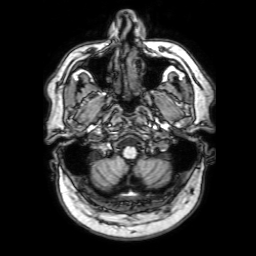
Clinical context: 3 Tesla brain MRI. Series: 3D T1-weighted with SENSE. Study: ring-enhancing brain masses.